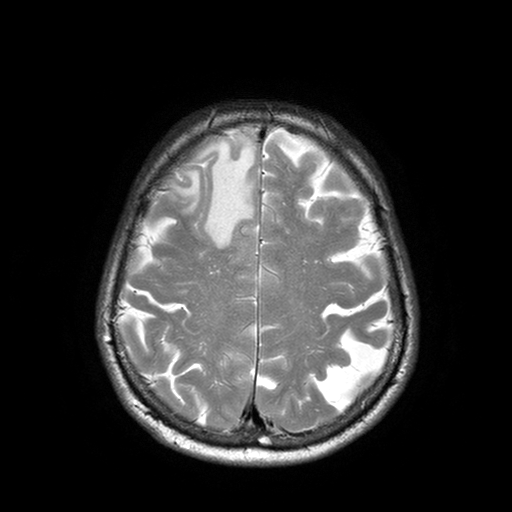
* modality: 3 Tesla brain MRI
* study: ring-enhancing brain masses